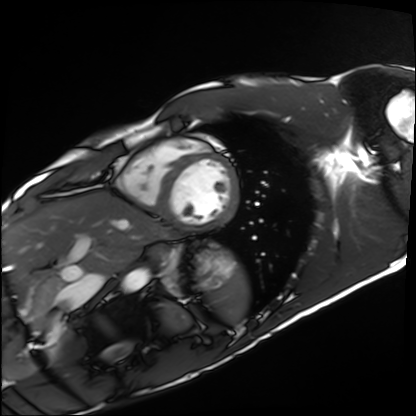
Case summary:
Cardiac MRI. Subject group: healthy volunteer.